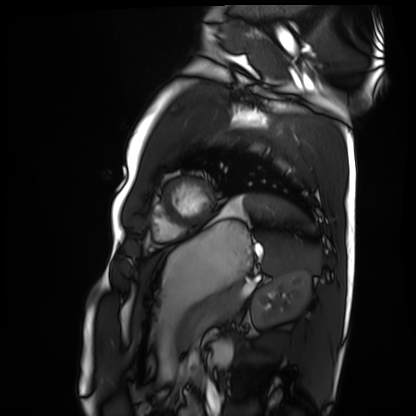
<study>
<modality>cardiac MRI</modality>
<cohort>healthy volunteer</cohort>
</study>